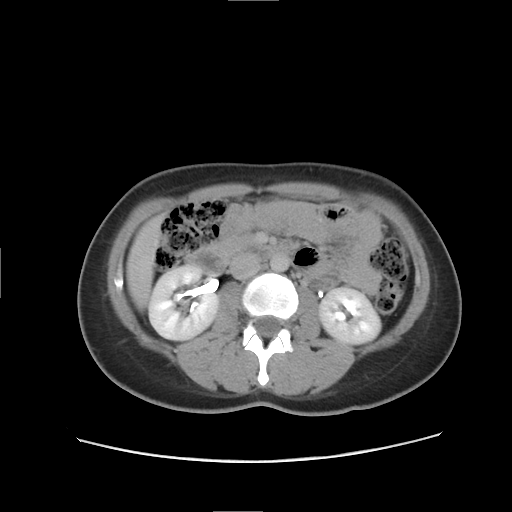
Multiphase abdominal CT, liver, delayed phase. Patient: female, age 29.